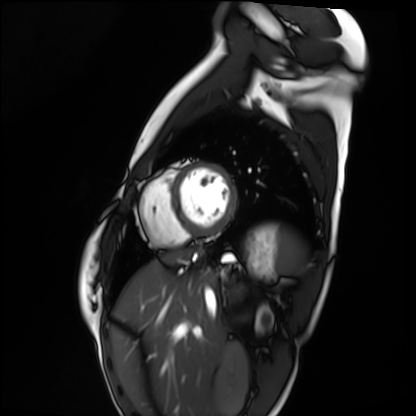
Cardiac MRI.
Subject group: healthy volunteer.